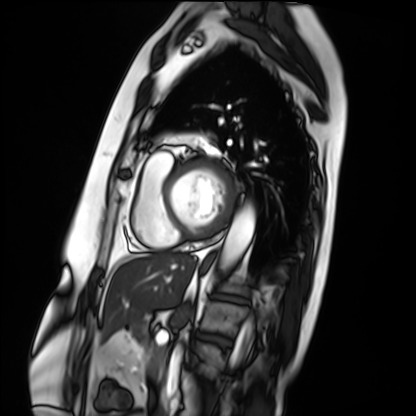
Clinical context: Cardiac MRI. Subject group: patient.